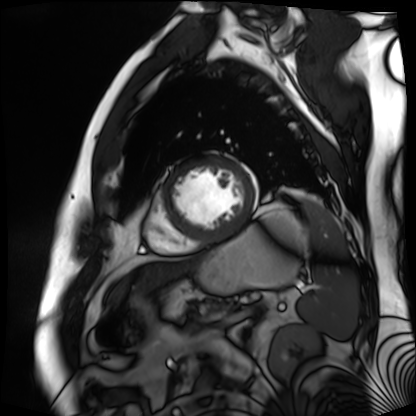
Cardiac MR image of the myocardium.
Subject cohort: cardiac patient.